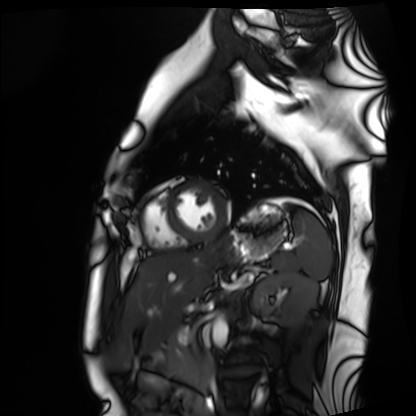
modality: cardiac MRI
subject group: healthy volunteer